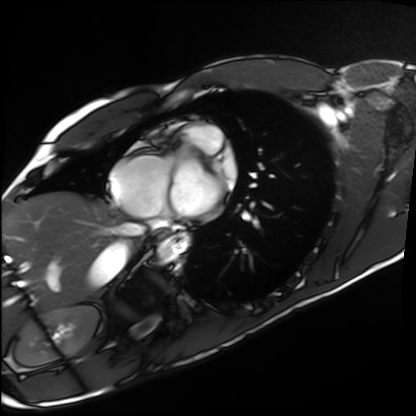
Q: What kind of scan is this?
A: Cardiac MRI.
Subject group: healthy volunteer.